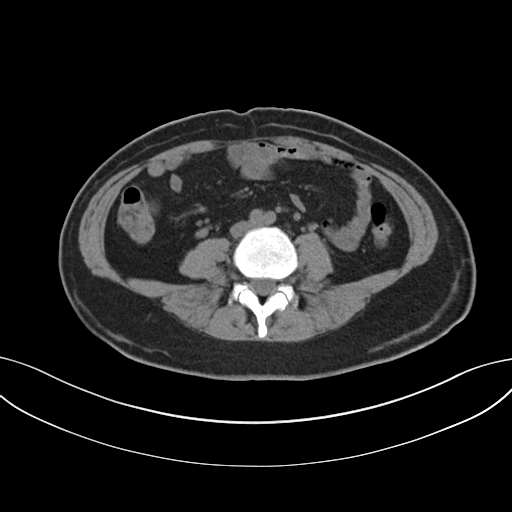
- modality — multiphase abdominal CT, liver, non-contrast phase
- patient — female, age 47
- history — prior chemotherapy